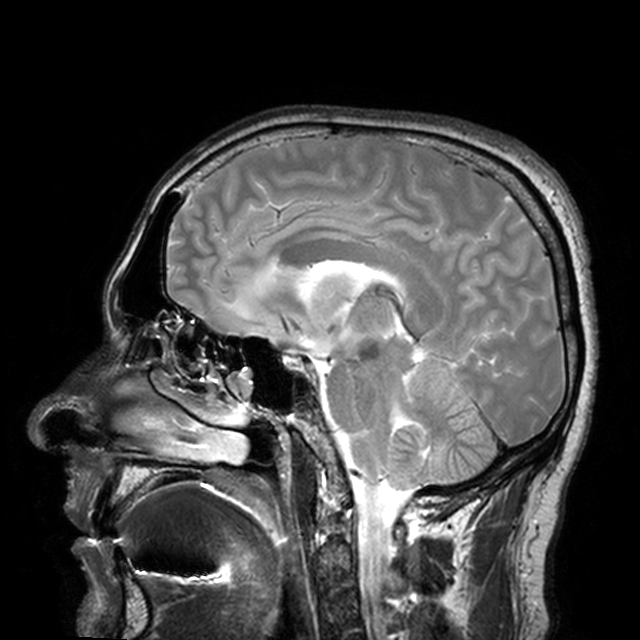
3 Tesla brain MRI.
Series: T2-weighted turbo spin echo with CLEAR.
Study: ring-enhancing brain masses.